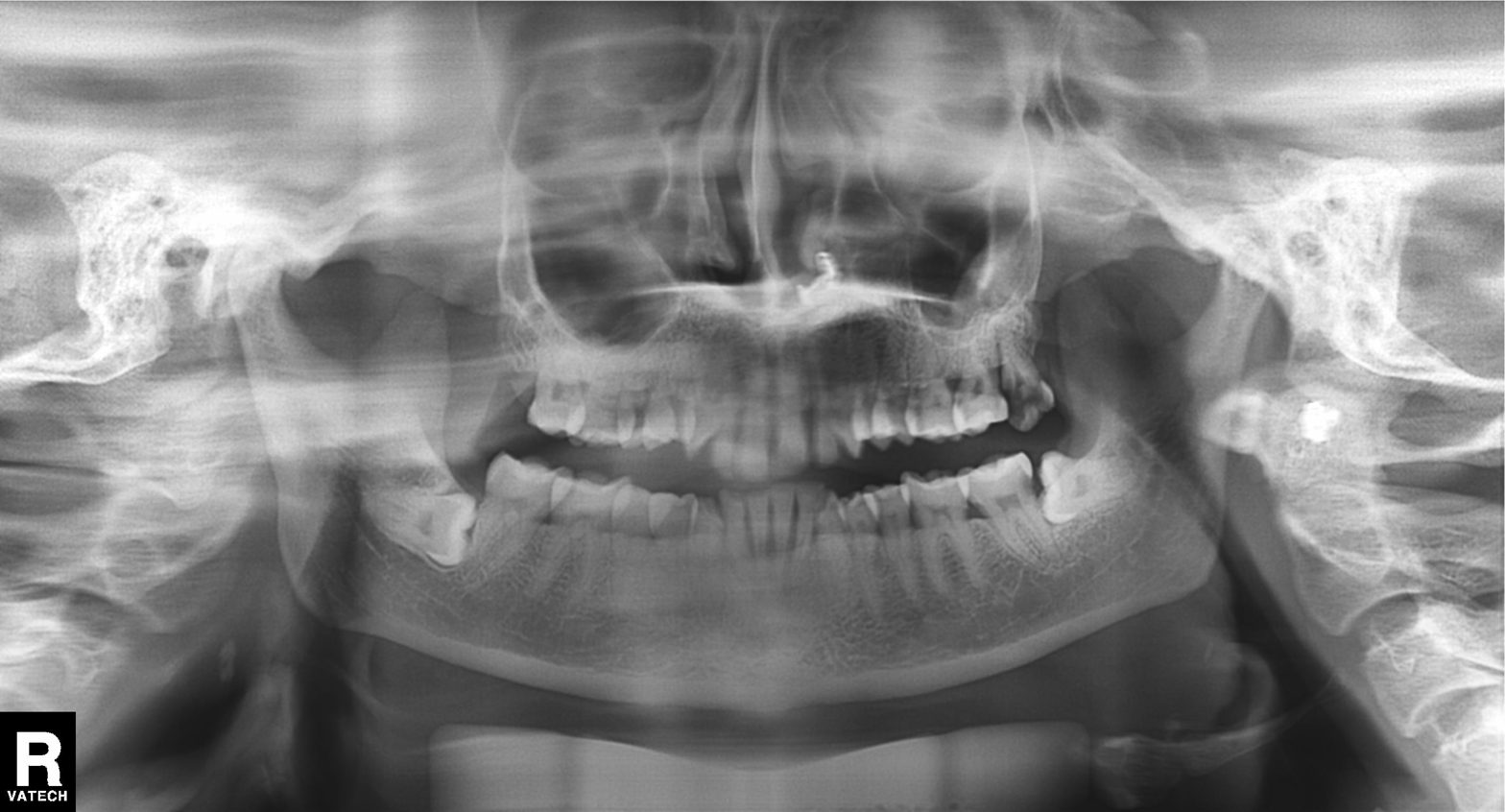
modality: panoramic dental radiograph (orthopantomogram); finding: tooth impaction.